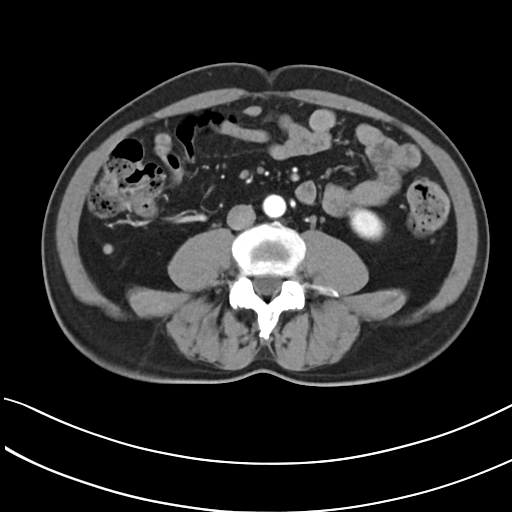
Clinical context:
Multiphase abdominal CT, liver, arterial phase. Patient: male, age 52. History: prior chemotherapy.